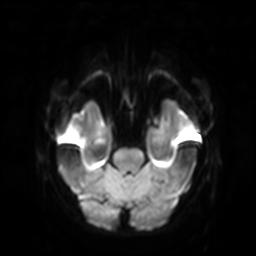
{"modality": {"type": "brain MRI", "field_strength": "3T"}, "series": "diffusion-weighted imaging with SENSE (WIP)", "study_topic": "ring-enhancing brain masses"}